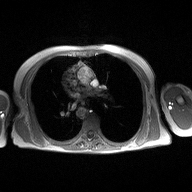
Case summary:
2D phase-contrast cine MRI of the ascending aorta, high-resolution GRAPPA acquisition.